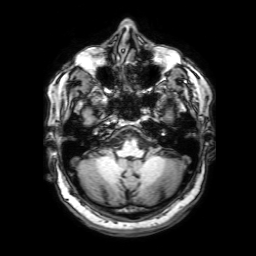
modality = 3 Tesla brain MRI; series = 3D T1-weighted with SENSE; study = ring-enhancing brain masses.